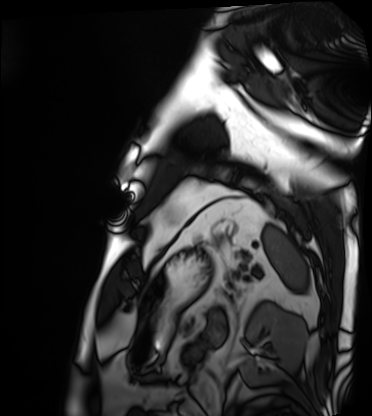
Summary:
Cardiac MRI. Subject group: patient.